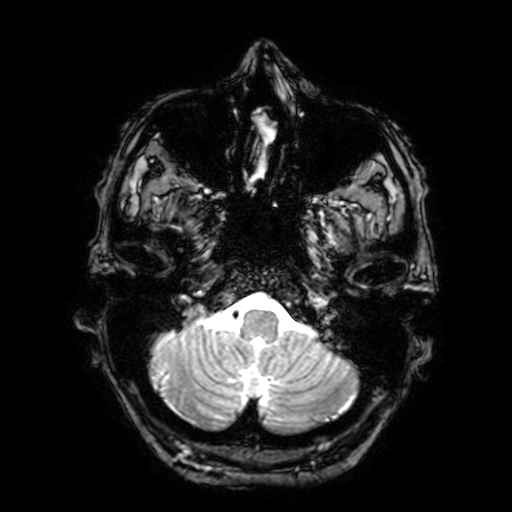
3 Tesla brain MRI. Series: T2-weighted fast field echo with SENSE. Study: ring-enhancing brain masses.